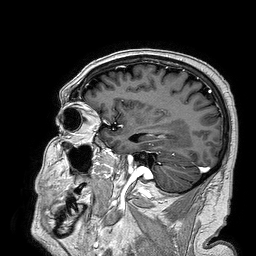
  modality:
    type: brain MRI
    field_strength: 3T
  series: 3D T1-weighted turbo field echo
  study_topic: ring-enhancing brain masses